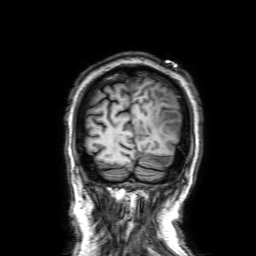
3 Tesla brain MRI. Series: 3D T1-weighted with SENSE. Study: ring-enhancing brain masses.